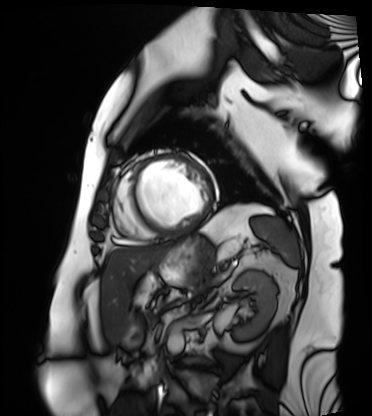
Cardiac MRI. Subject group: patient.